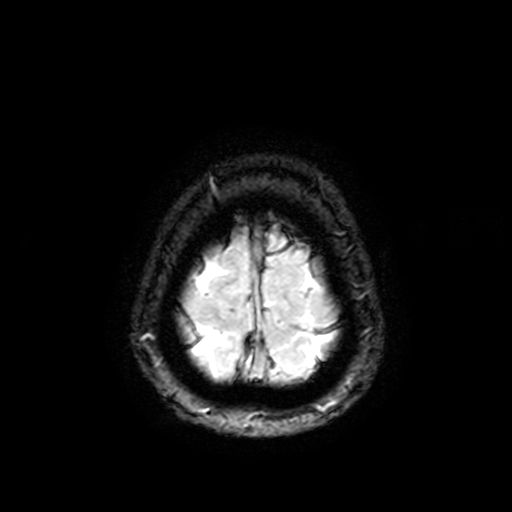
* modality — 3 Tesla brain MRI
* series — T2-weighted fast field echo with SENSE
* study — ring-enhancing brain masses